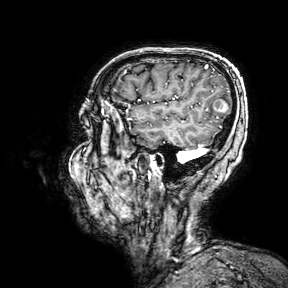
Q: What kind of scan is this?
A: 3 Tesla brain MRI.
Q: Series?
A: 3D T1-weighted turbo field echo with SENSE.
Study: ring-enhancing brain masses.